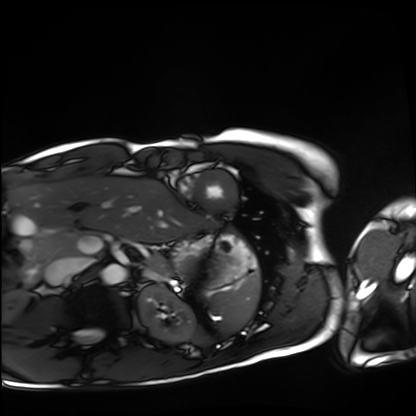
modality = cardiac MRI
subject group = healthy volunteer